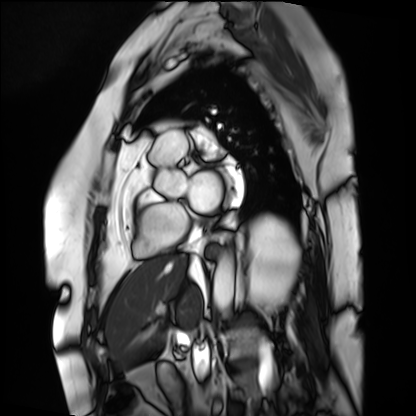
modality: cardiac MRI
cohort: patient